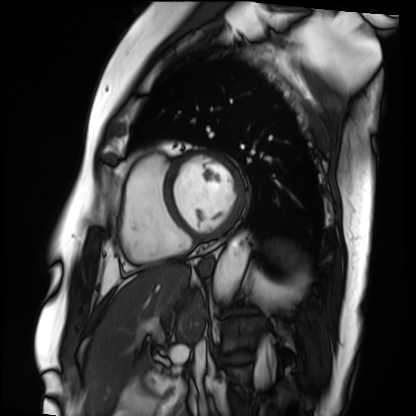
Case summary: Cardiac MRI. Subject group: patient.